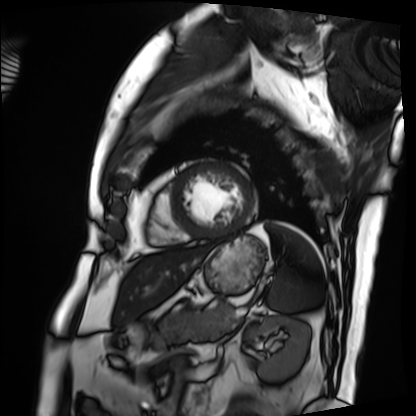
Cardiac MRI.
Subject group: patient.